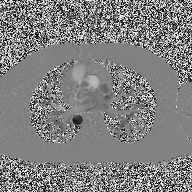
modality — 2D phase-contrast cine MRI of the ascending aorta.